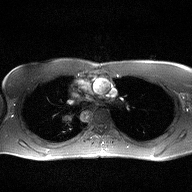
modality = 2D phase-contrast cine MRI of the ascending aorta.